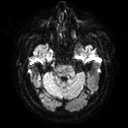
3 Tesla brain MRI. Series: diffusion tensor imaging (medium iso). Study: ring-enhancing brain masses.